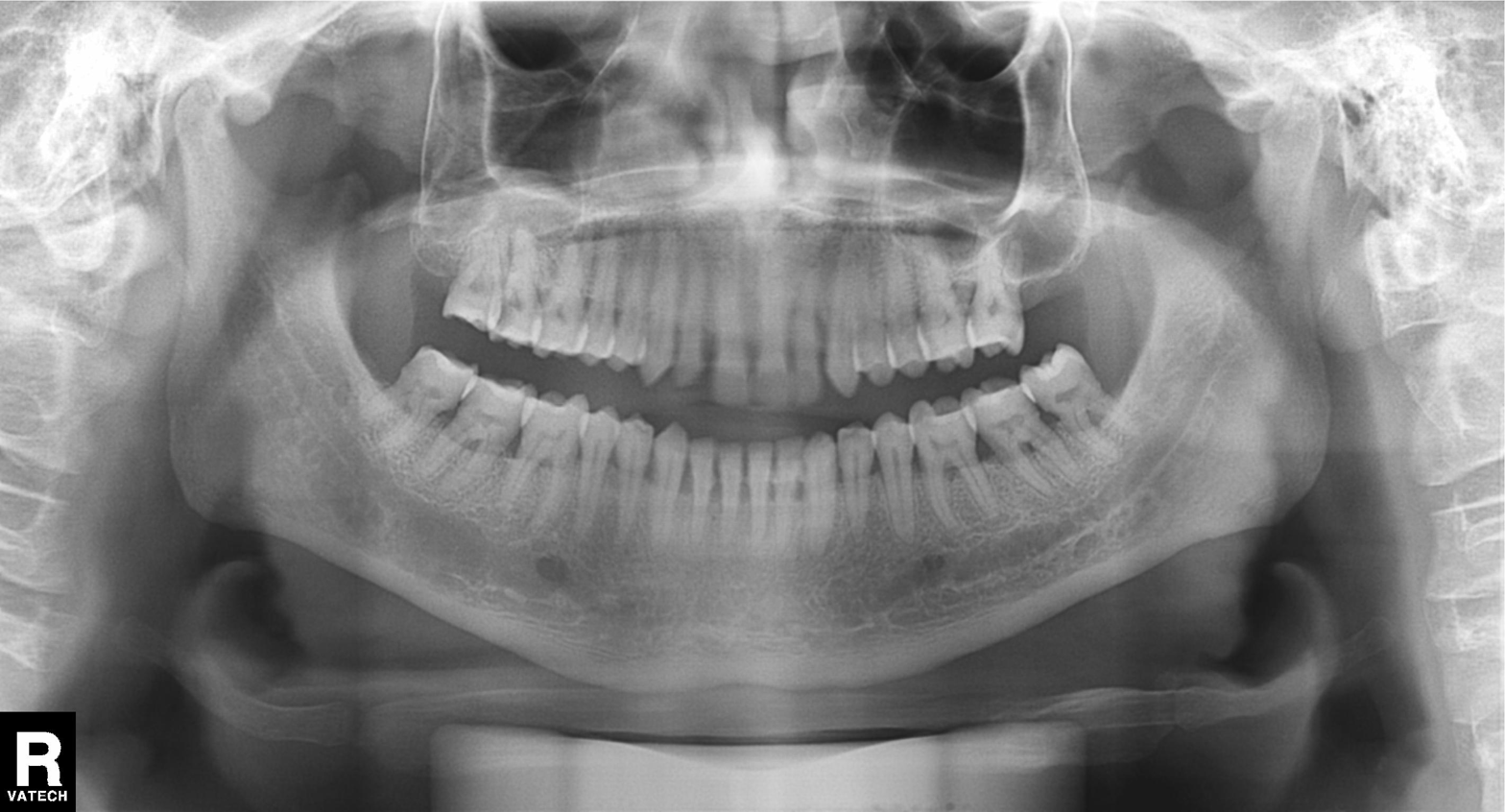
Panoramic dental radiograph (orthopantomogram). Finding: dental caries (cavities).